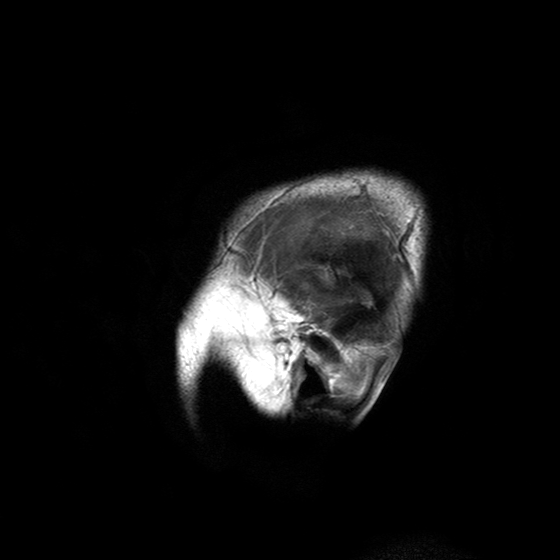
Summary:
3 Tesla brain MRI. Series: T2-weighted turbo spin echo with SENSE. Study: ring-enhancing brain masses.